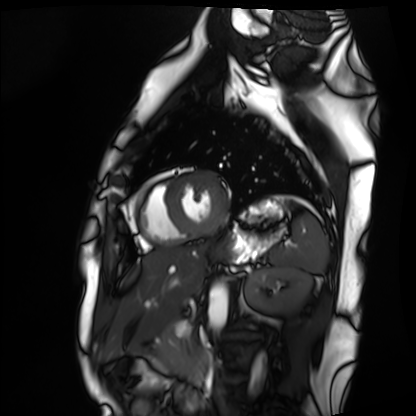
Cardiac MRI. Subject group: healthy volunteer.